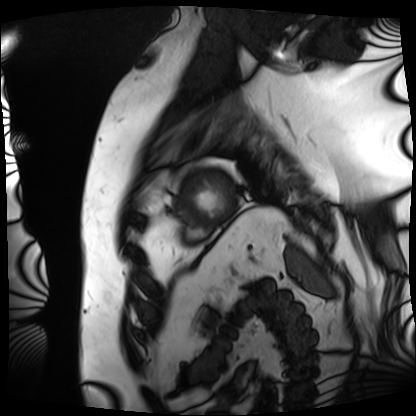
{"modality": "cardiac MRI", "cohort": "patient"}